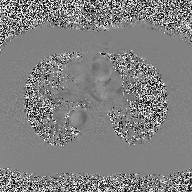
Q: What kind of scan is this?
A: 2D phase-contrast cine MRI of the ascending aorta.